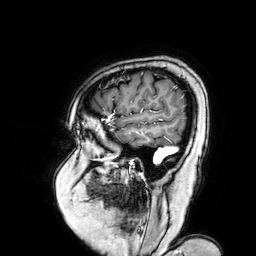
Summary: 3 Tesla brain MRI. Series: 3D T1-weighted turbo field echo with SENSE. Study: ring-enhancing brain masses.